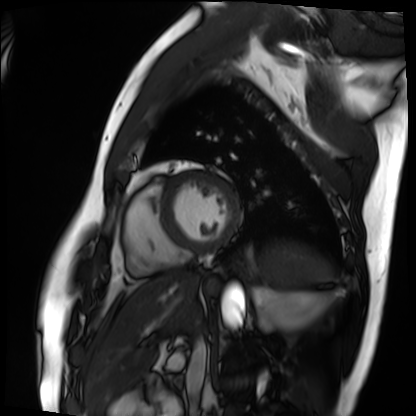
  modality: cardiac MRI
  cohort: patient